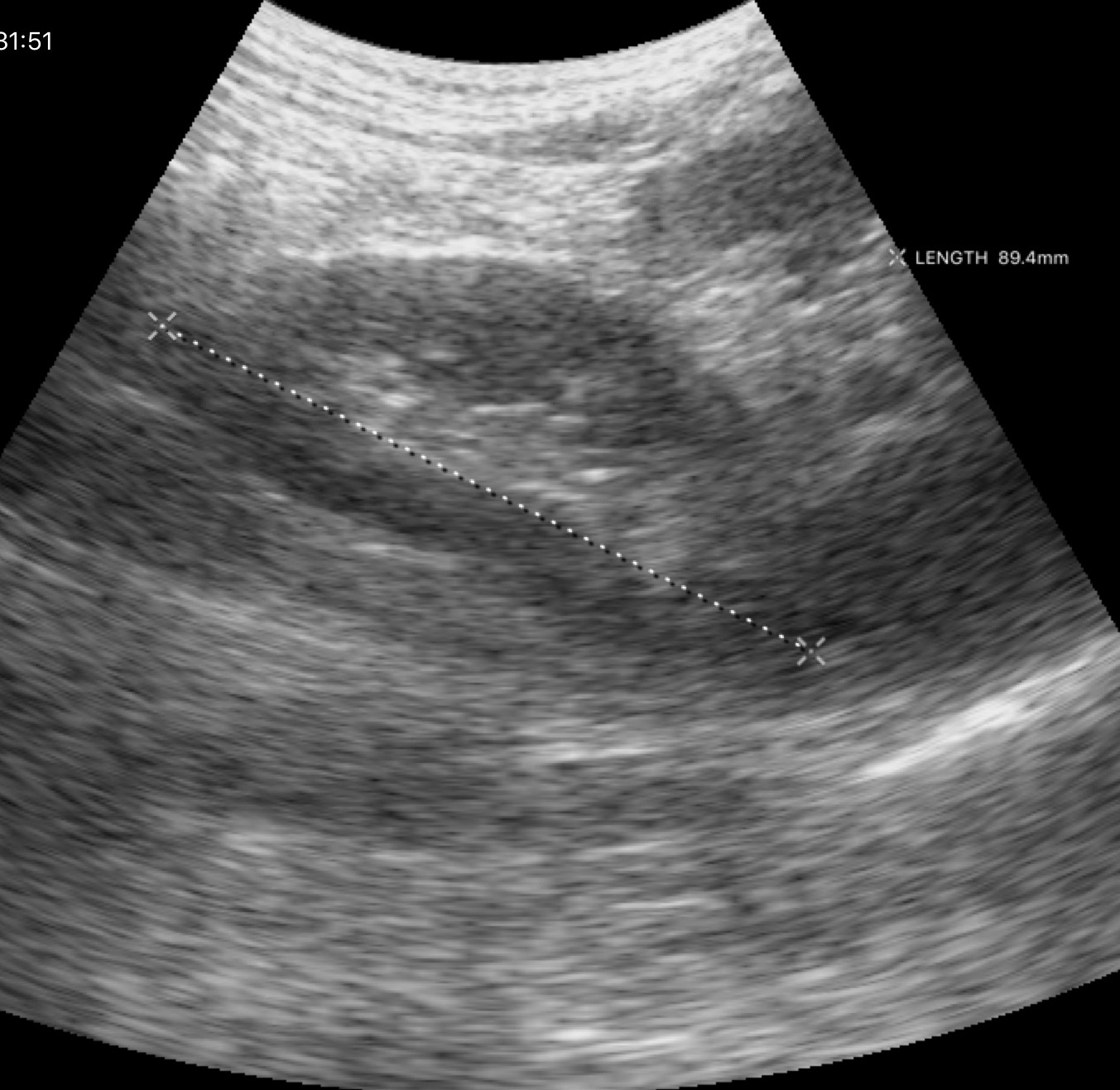
- modality — genitourinary ultrasound